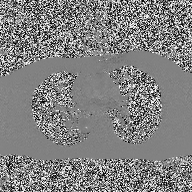
Summary: 2D phase-contrast cine MRI of the ascending aorta, high-resolution GRAPPA acquisition.